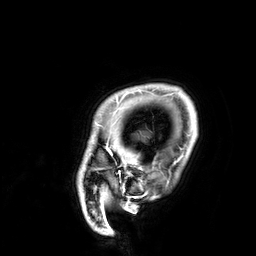
Q: What kind of scan is this?
A: 3 Tesla brain MRI.
Q: Series?
A: 3D T1-weighted.
Study: ring-enhancing brain masses.